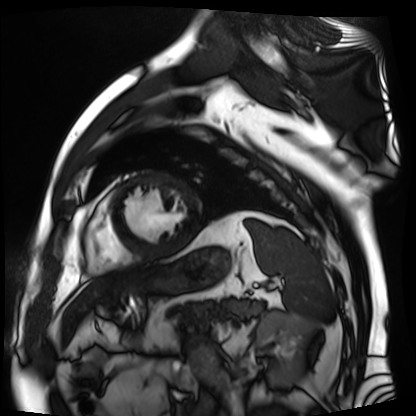
<scan>
  <modality>cardiac MR image of the myocardium</modality>
  <cohort>cardiac patient</cohort>
</scan>